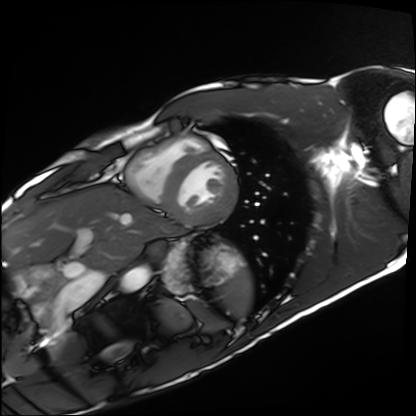
Cardiac MRI.
Subject group: healthy volunteer.